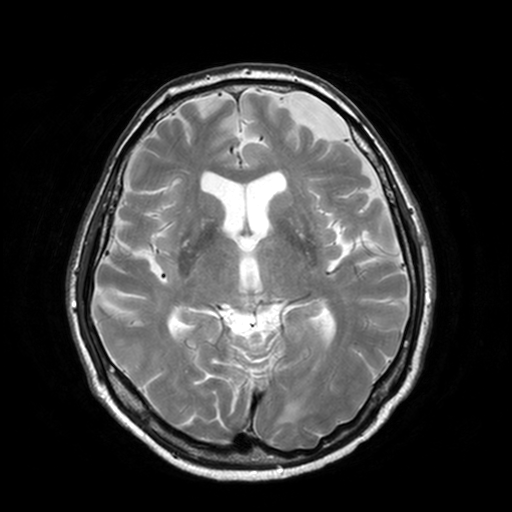
Summary:
3 Tesla brain MRI. Series: T2-weighted turbo spin echo, 3 mm. Study: ring-enhancing brain masses.